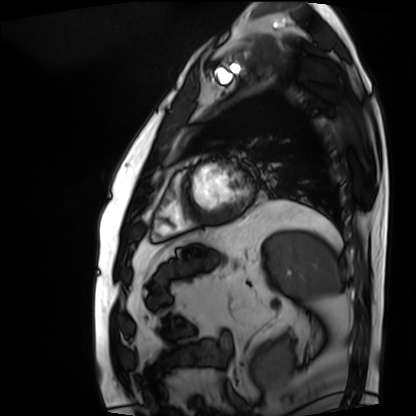
Q: What kind of scan is this?
A: Cardiac MRI.
Subject group: patient.